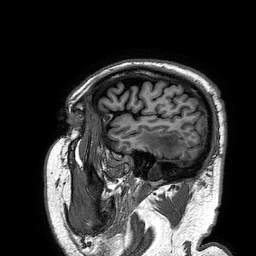
modality: 3 Tesla brain MRI | series: 3D T1-weighted turbo field echo | study: ring-enhancing brain masses.